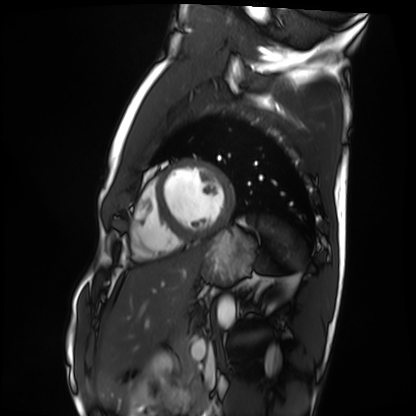
Q: What kind of scan is this?
A: Cardiac MRI.
Subject group: healthy volunteer.